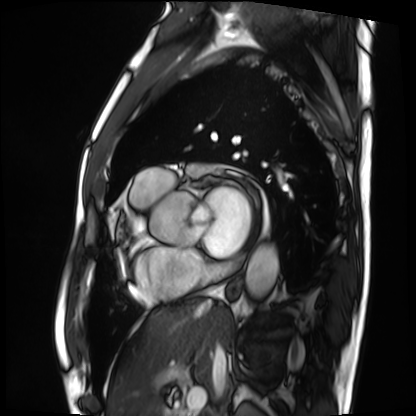
modality = cardiac MRI, subject group = patient.